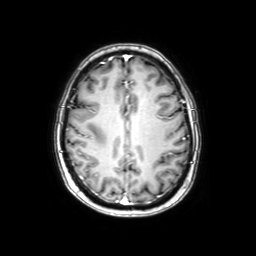
<scan>
  <modality>
    <type>brain MRI</type>
    <field_strength>3T</field_strength>
  </modality>
  <series>axial with contrast</series>
  <study_topic>ring-enhancing brain masses</study_topic>
</scan>